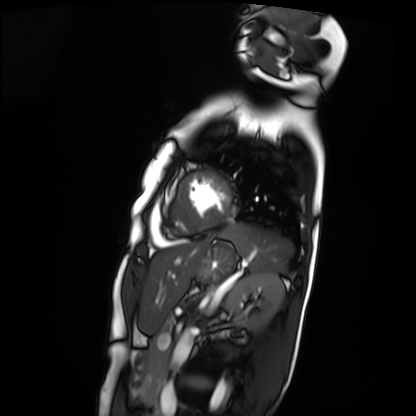
Summary:
Cardiac MRI. Subject group: patient.